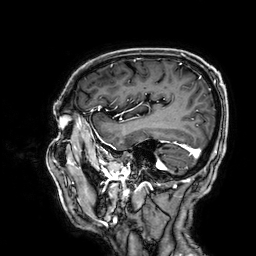
{
  "modality": {
    "type": "brain MRI",
    "field_strength": "3T"
  },
  "series": "3D T1-weighted",
  "study_topic": "ring-enhancing brain masses"
}